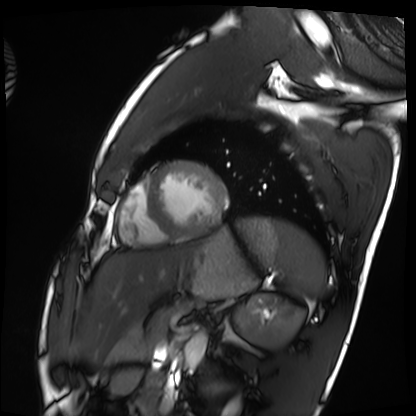
modality: cardiac MRI | subject group: healthy volunteer.